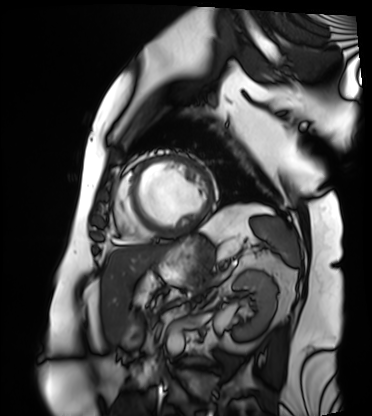
{
  "modality": "cardiac MRI",
  "cohort": "patient"
}